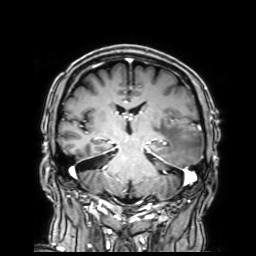
Clinical context:
3 Tesla brain MRI. Series: 3D T1-weighted with SENSE. Study: ring-enhancing brain masses.